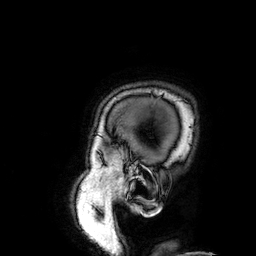
3 Tesla brain MRI. Series: 3D T1-weighted. Study: ring-enhancing brain masses.